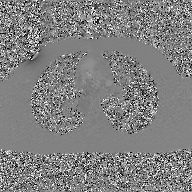
Case:
- modality · 2D phase-contrast cine MRI of the ascending aorta, GAN super-resolution reconstruction